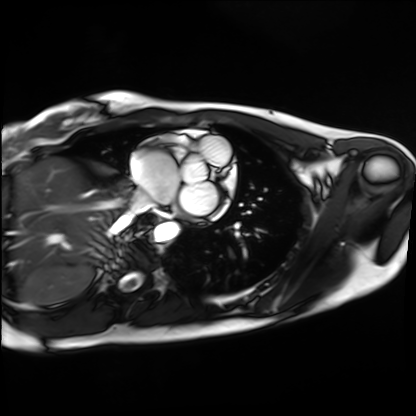
Cardiac MRI.
Subject group: healthy volunteer.